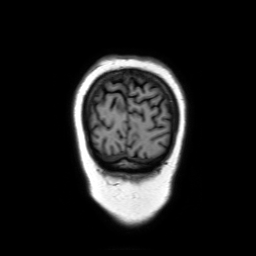
3 Tesla brain MRI. Series: coronal without contrast. Study: ring-enhancing brain masses.